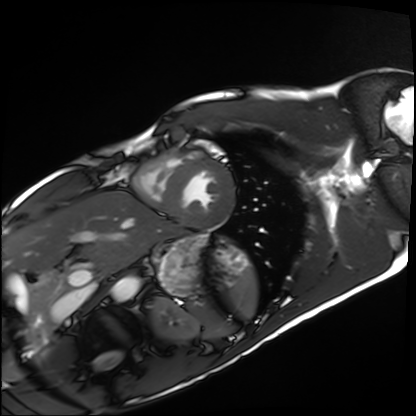
Case:
– modality · cardiac MRI
– subject group · healthy volunteer